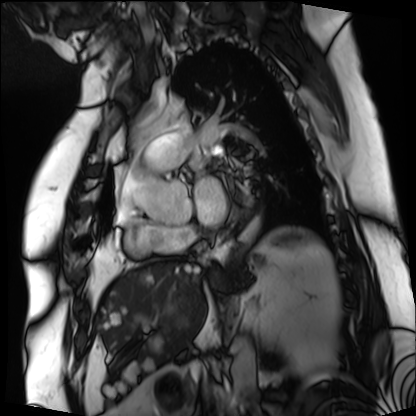
Case:
* modality: cardiac MRI
* subject group: patient